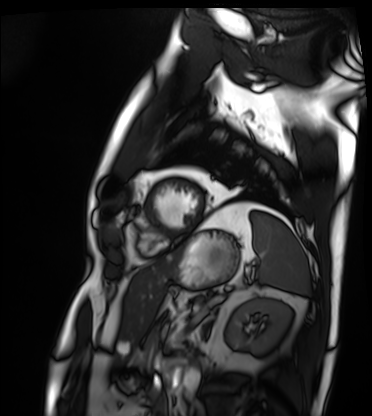
Clinical context:
Cardiac MRI. Subject group: patient.